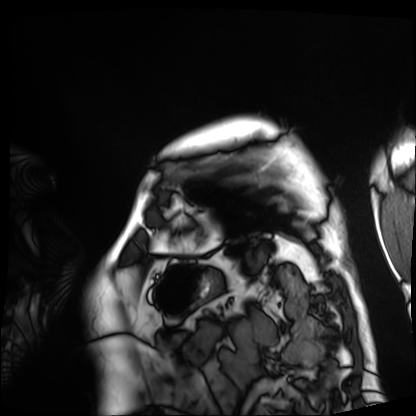
{"modality": "cardiac MRI", "cohort": "patient"}